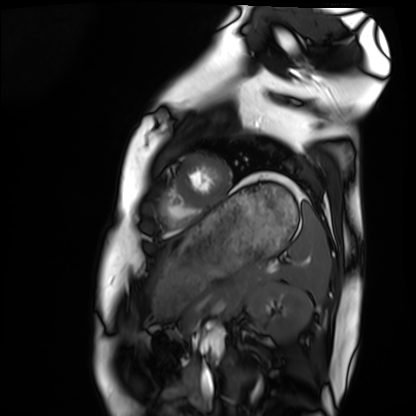
Cardiac MRI. Subject group: healthy volunteer.